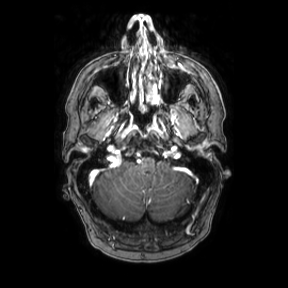
3 Tesla brain MRI. Series: axial. Study: ring-enhancing brain masses.